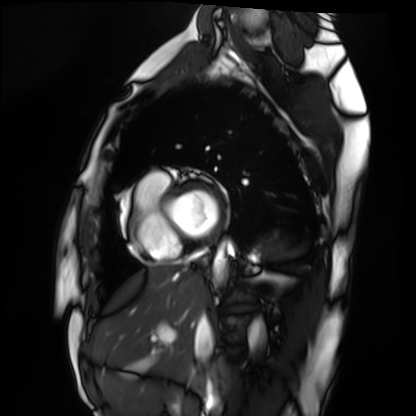
  modality: cardiac MRI
  cohort: healthy volunteer